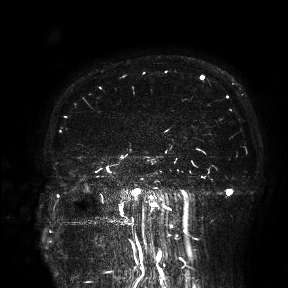
Summary: 3 Tesla brain MRI. Study: ring-enhancing brain masses.